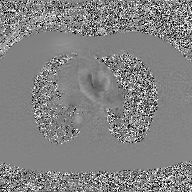
2D phase-contrast cine MRI of the ascending aorta, GAN super-resolution reconstruction.